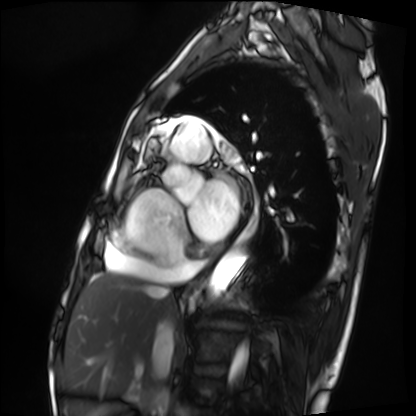
modality = cardiac MRI; subject group = patient.